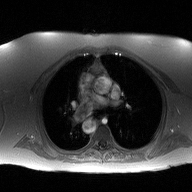
modality = 2D phase-contrast cine MRI of the ascending aorta